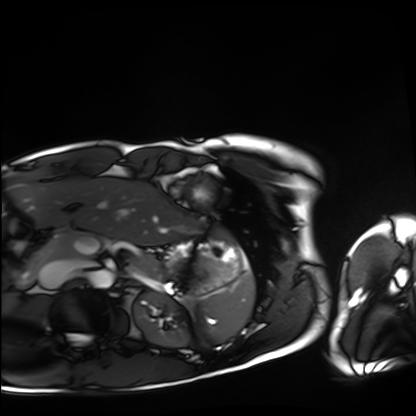
Cardiac MRI. Subject group: healthy volunteer.